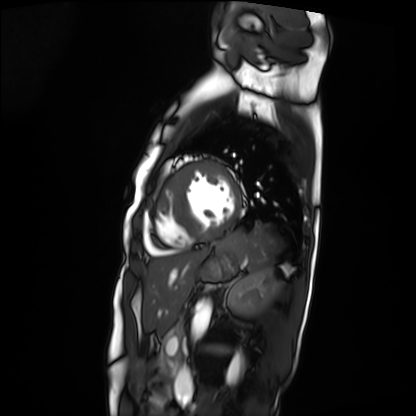
Summary:
Cardiac MRI. Subject group: patient.